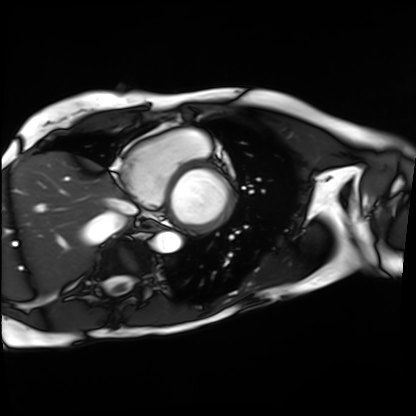
Cardiac MRI. Subject group: patient.